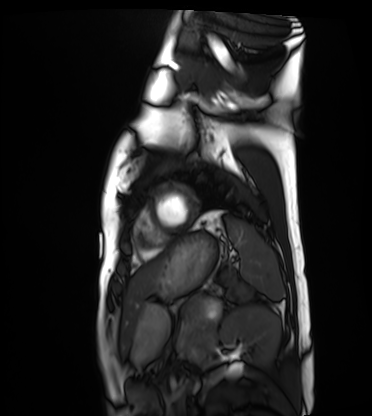
{"modality": "cardiac MRI", "cohort": "healthy volunteer"}